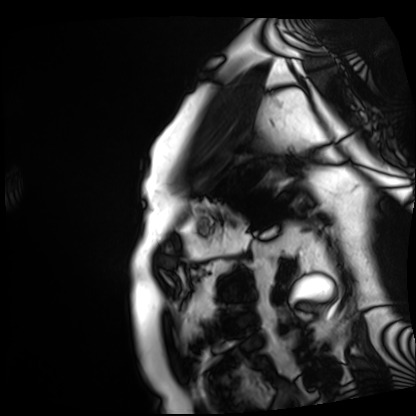
Clinical context: Cardiac MRI. Subject group: patient.